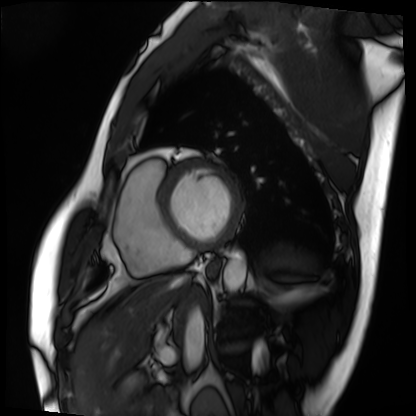
<scan>
<modality>cardiac MRI</modality>
<cohort>patient</cohort>
</scan>